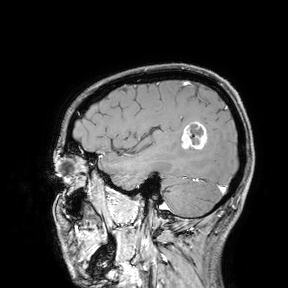
3 Tesla brain MRI. Study: ring-enhancing brain masses.